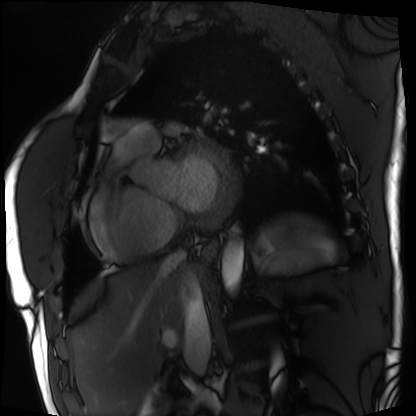
modality: cardiac MRI; subject group: patient.